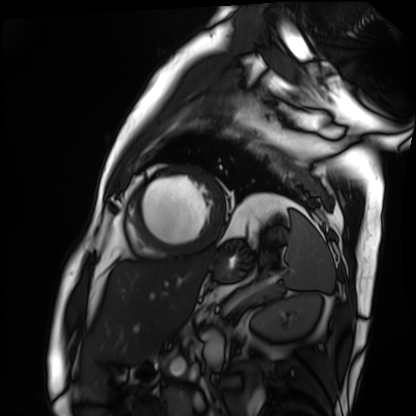
Cardiac MRI.
Subject group: patient.